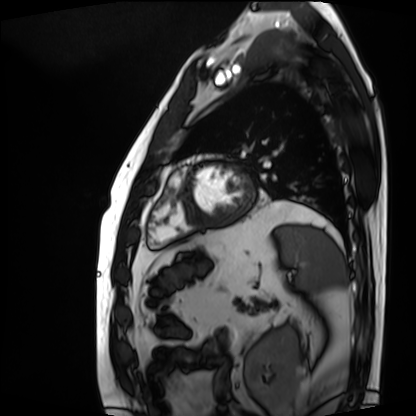
Cardiac MRI. Subject group: patient.